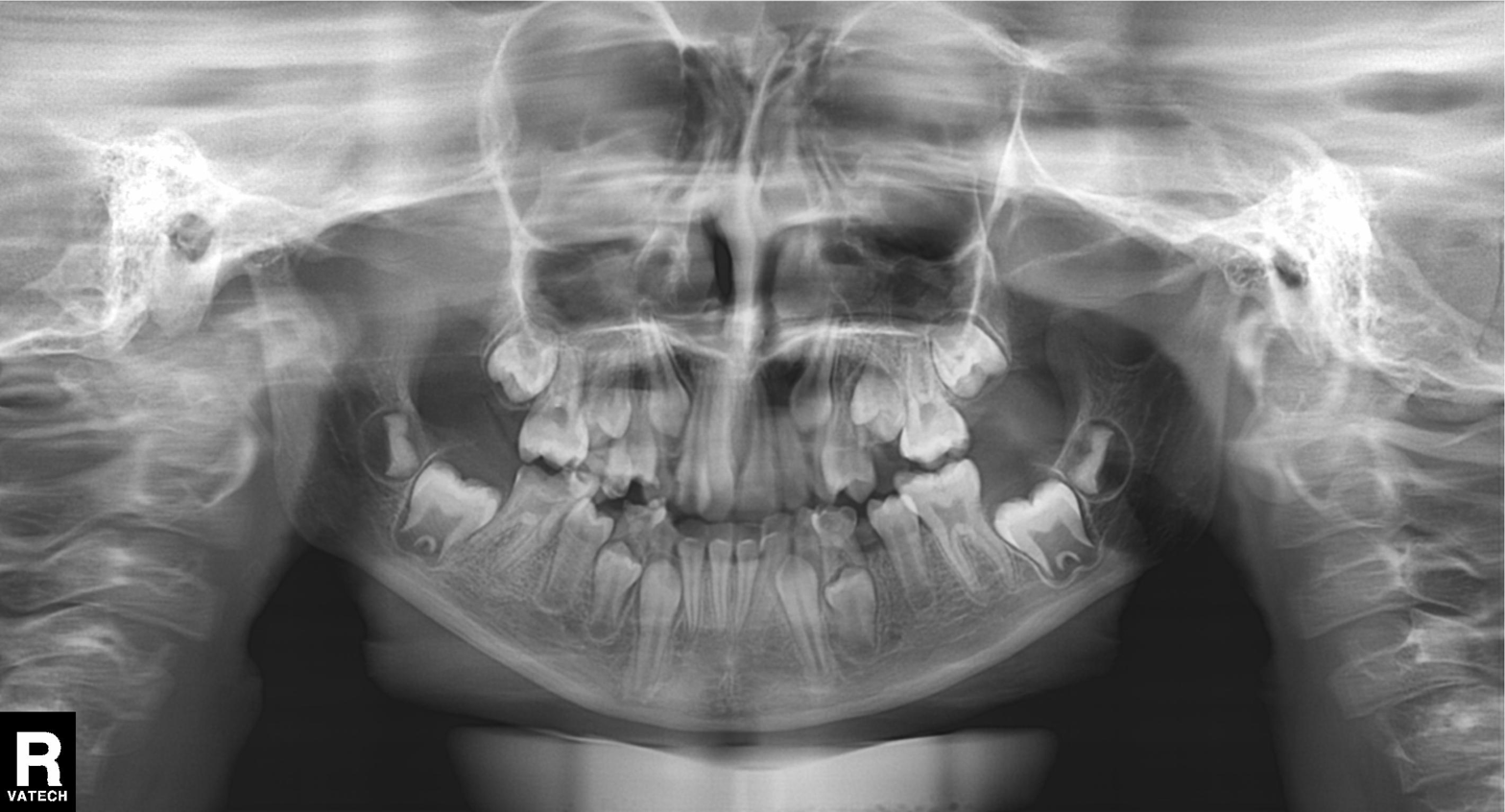
{
  "modality": "panoramic dental radiograph (orthopantomogram)",
  "finding": "tooth impaction"
}